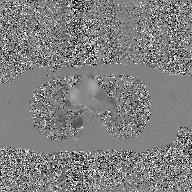
2D phase-contrast cine MRI of the ascending aorta, GAN super-resolution reconstruction.